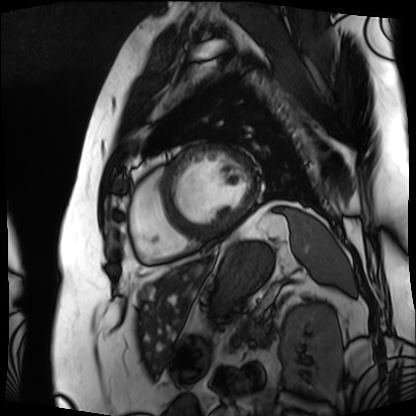
Case summary: Cardiac MRI. Subject group: patient.